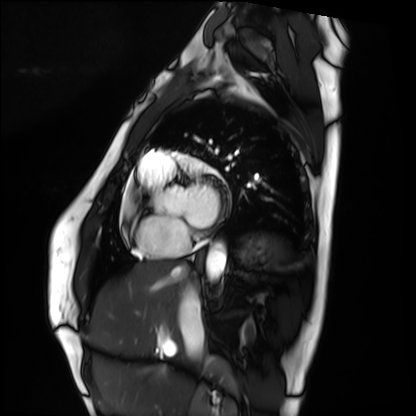
Cardiac MRI.
Subject group: healthy volunteer.